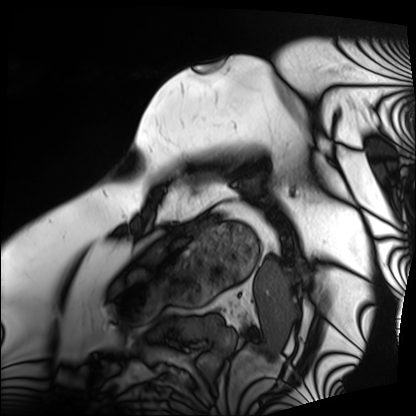
<case>
<modality>cardiac MRI</modality>
<cohort>patient</cohort>
</case>